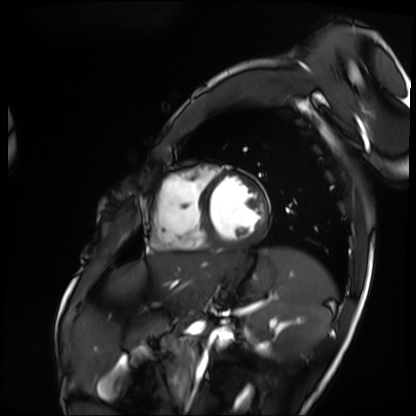
Summary:
Cardiac MRI. Subject group: patient.